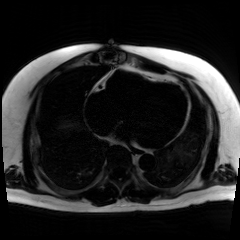
modality: chemical-shift-encoded cardiac MRI